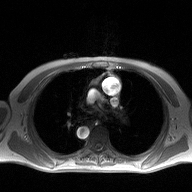
Case:
* modality: 2D phase-contrast cine MRI of the ascending aorta